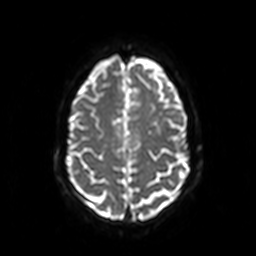
<record>
  <modality>
    <type>brain MRI</type>
    <field_strength>3T</field_strength>
  </modality>
  <study_topic>ring-enhancing brain masses</study_topic>
</record>